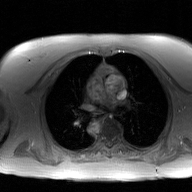
{
  "modality": {
    "type": "2D phase-contrast cine MRI",
    "region": "ascending aorta",
    "reconstruction": "GAN super-resolution reconstruction"
  }
}